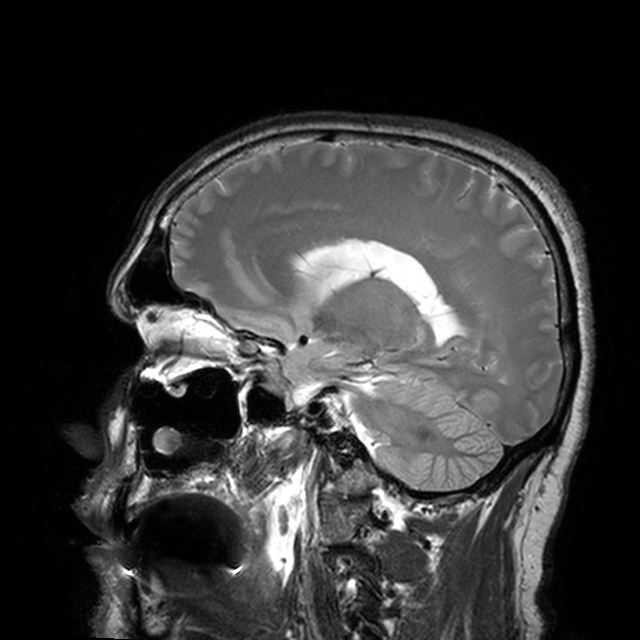
3 Tesla brain MRI.
Series: T2-weighted turbo spin echo with CLEAR.
Study: ring-enhancing brain masses.